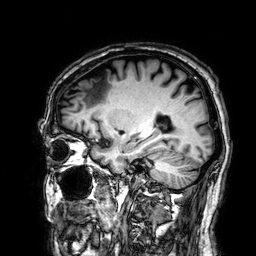
Case:
• modality: 3 Tesla brain MRI
• series: 3D T1-weighted
• study: ring-enhancing brain masses